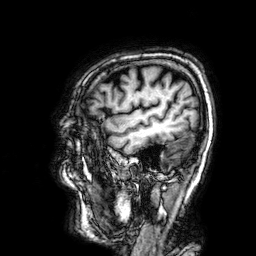
3 Tesla brain MRI.
Series: 3D T1-weighted.
Study: ring-enhancing brain masses.